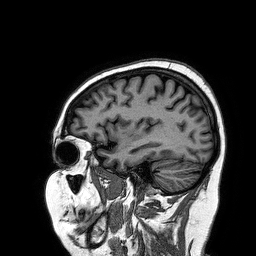
Summary:
3 Tesla brain MRI. Series: 3D T1-weighted turbo field echo. Study: ring-enhancing brain masses.